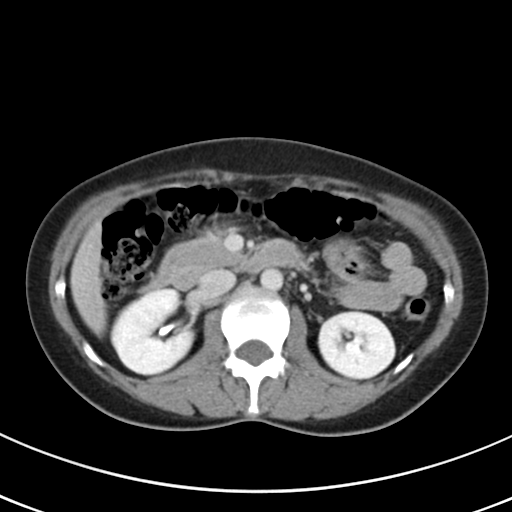
| field | value |
|---|---|
| modality | multiphase abdominal CT, liver, delayed phase |
| patient | female, age 43 |